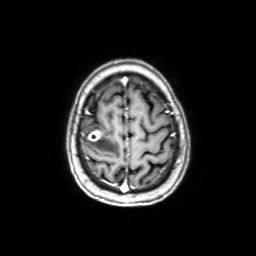
Summary: 3 Tesla brain MRI. Series: axial with contrast. Study: ring-enhancing brain masses.